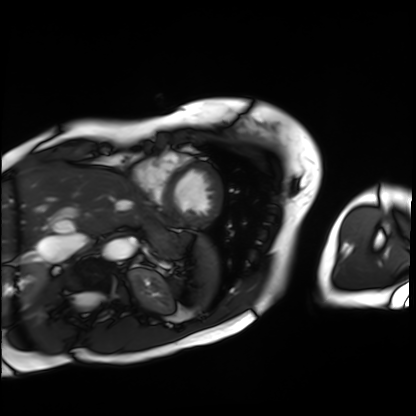
<record>
  <modality>cardiac MRI</modality>
  <cohort>patient</cohort>
</record>